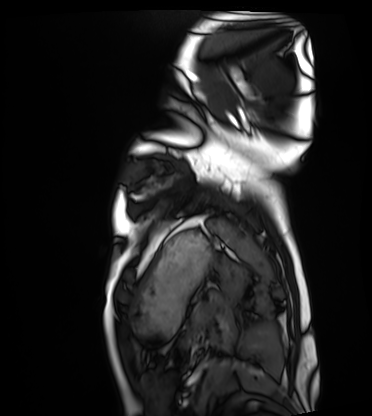
Cardiac MRI. Subject group: healthy volunteer.